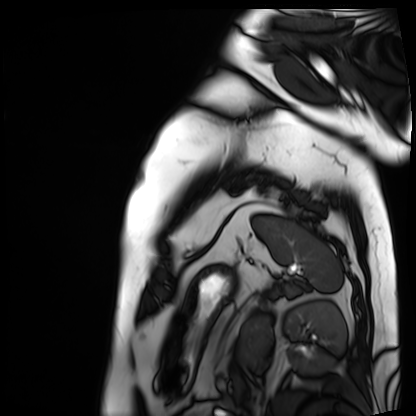
Q: What kind of scan is this?
A: Cardiac MRI.
Subject group: patient.